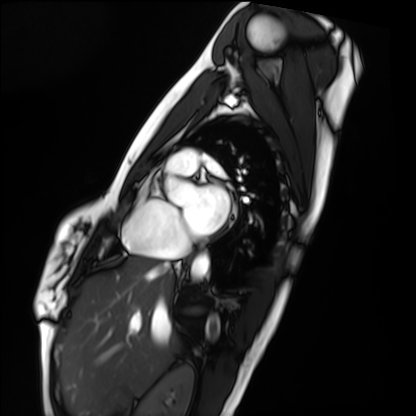
<case>
  <modality>cardiac MRI</modality>
  <cohort>healthy volunteer</cohort>
</case>